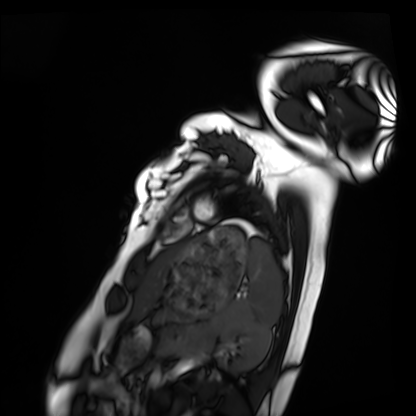
Summary:
Cardiac MRI. Subject group: healthy volunteer.